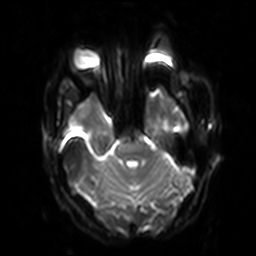
3 Tesla brain MRI.
Series: diffusion-weighted imaging with SENSE (WIP).
Study: ring-enhancing brain masses.